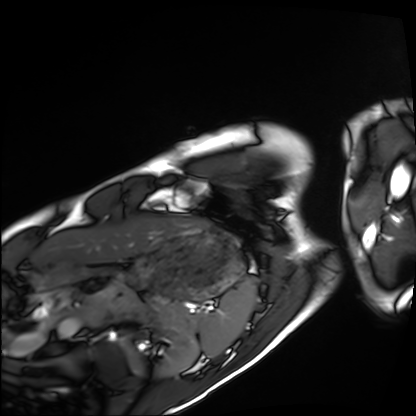
modality: cardiac MRI; subject group: healthy volunteer.